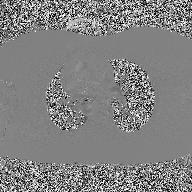
<case>
<modality>
  <type>2D phase-contrast cine MRI</type>
  <region>ascending aorta</region>
  <reconstruction>high-resolution GRAPPA acquisition</reconstruction>
</modality>
</case>